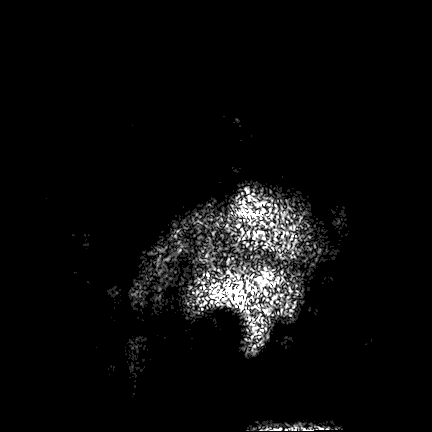
* modality · 3 Tesla brain MRI
* series · FLAIR VISTA
* study · ring-enhancing brain masses